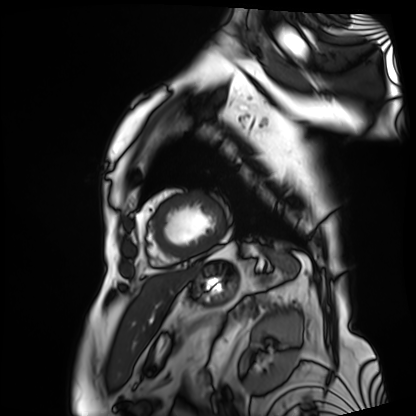
| field | value |
|---|---|
| modality | cardiac MRI |
| subject group | patient |